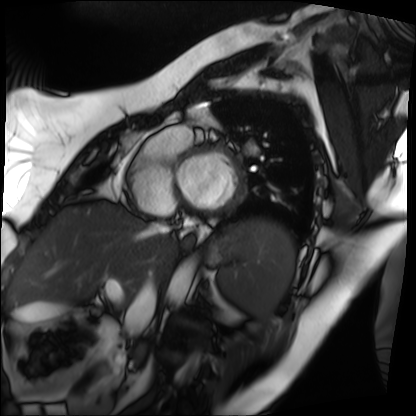
Cardiac MRI.
Subject group: patient.